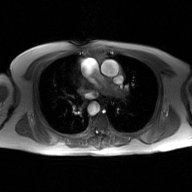
2D phase-contrast cine MRI of the ascending aorta, GAN super-resolution reconstruction.